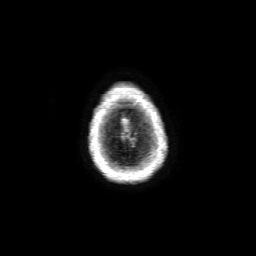
Q: What kind of scan is this?
A: 3 Tesla brain MRI.
Q: Series?
A: 3D T1-weighted with SENSE.
Study: ring-enhancing brain masses.